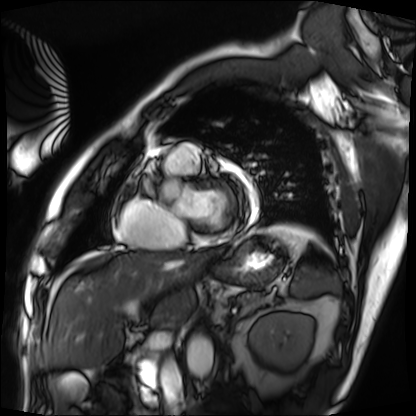
Cardiac MRI. Subject group: patient.